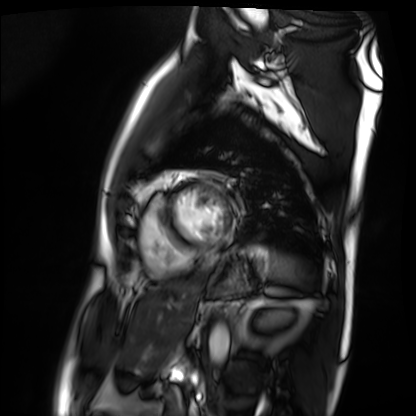
Cardiac MRI. Subject group: patient.